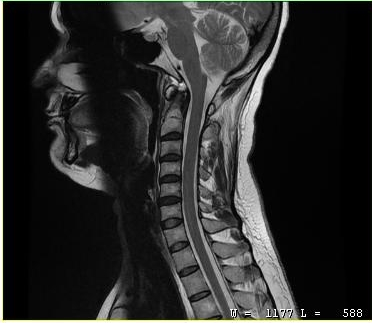
<case>
  <modality>
    <type>cervical spine MRI</type>
  </modality>
  <study_topic>cervical spondylosis</study_topic>
</case>